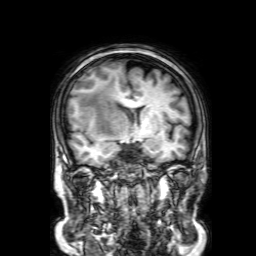
* modality · 3 Tesla brain MRI
* series · 3D T1-weighted with SENSE
* study · ring-enhancing brain masses